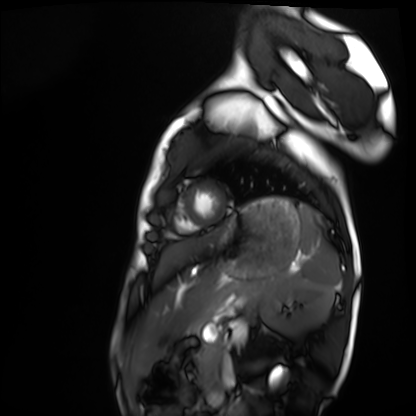
Cardiac MRI. Subject group: healthy volunteer.